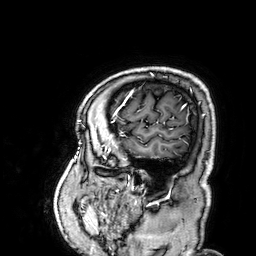
| field | value |
|---|---|
| modality | 3 Tesla brain MRI |
| series | 3D T1-weighted |
| study | ring-enhancing brain masses |